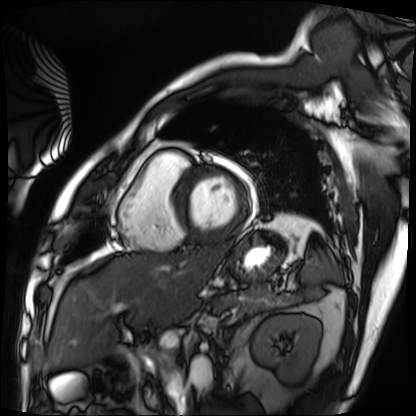
Case:
• modality — cardiac MRI
• subject group — patient